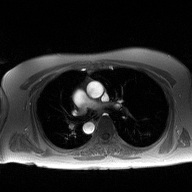
<study>
  <modality>
    <type>2D phase-contrast cine MRI</type>
    <region>ascending aorta</region>
    <reconstruction>high-resolution GRAPPA acquisition</reconstruction>
  </modality>
</study>